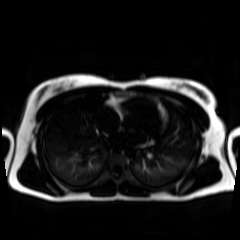
modality: chemical-shift-encoded cardiac MRI.